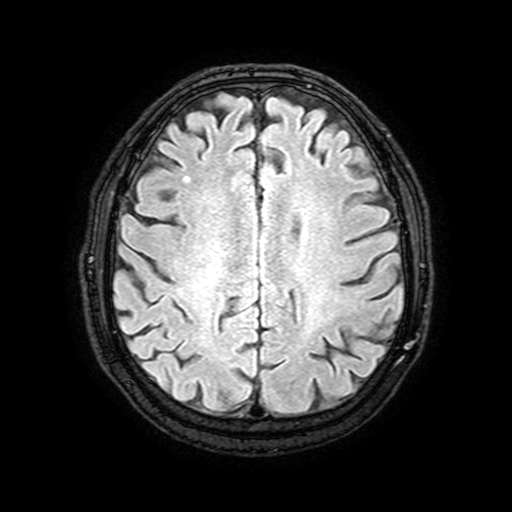
| field | value |
|---|---|
| modality | 3 Tesla brain MRI |
| series | FLAIR with SPAIR, 3 mm |
| study | ring-enhancing brain masses |